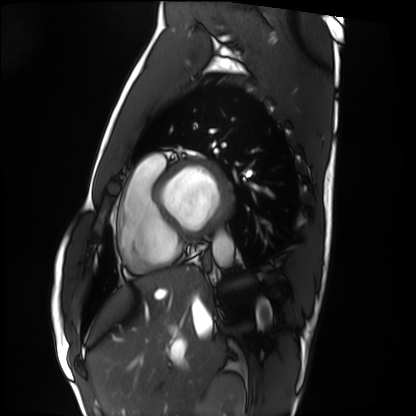
Cardiac MRI. Subject group: healthy volunteer.